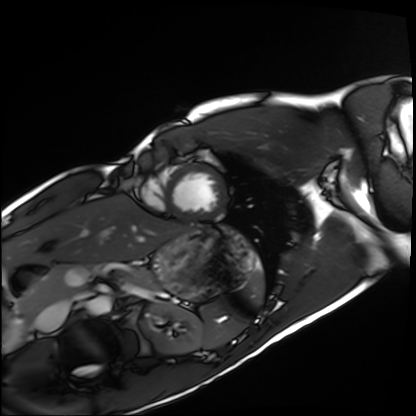
Cardiac MRI.
Subject group: healthy volunteer.